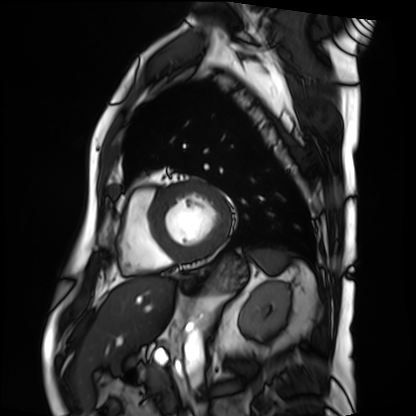
Summary:
Cardiac MRI. Subject group: patient.